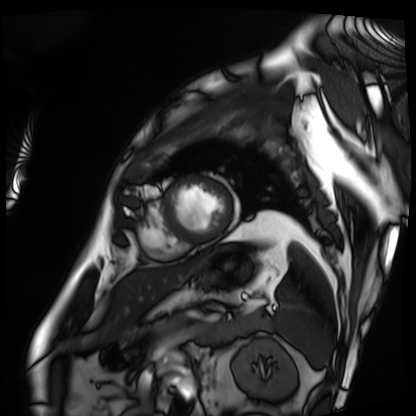
Cardiac MRI. Subject group: patient.